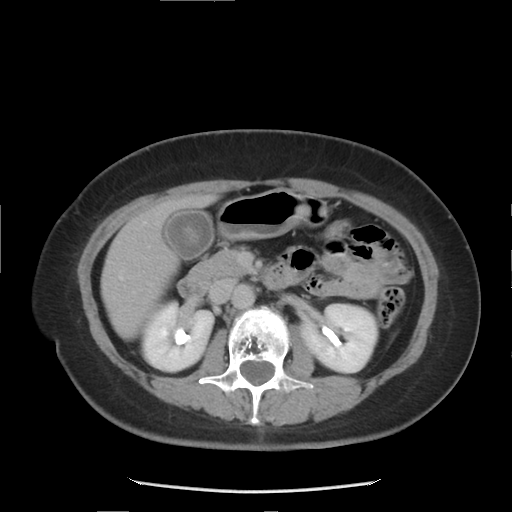
| field | value |
|---|---|
| modality | multiphase abdominal CT, liver, delayed phase |
| patient | female, age 52 |